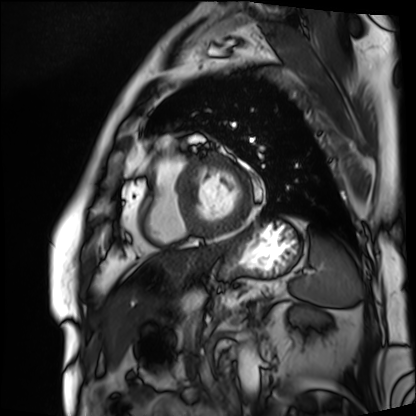
Case:
* modality — cardiac MRI
* subject group — patient